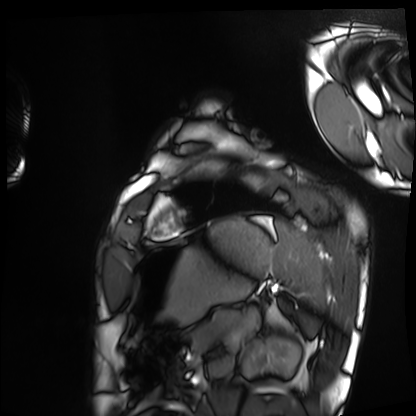
| field | value |
|---|---|
| modality | cardiac MRI |
| subject group | healthy volunteer |